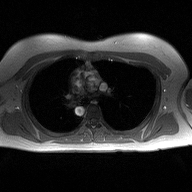
| field | value |
|---|---|
| modality | 2D phase-contrast cine MRI of the ascending aorta |